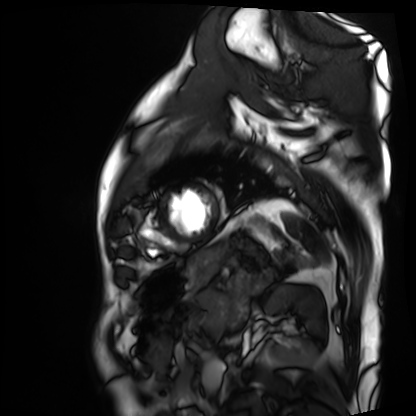
modality: cardiac MRI; subject group: patient.